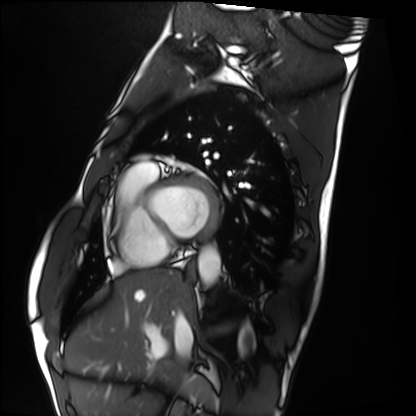
Cardiac MRI.
Subject group: healthy volunteer.